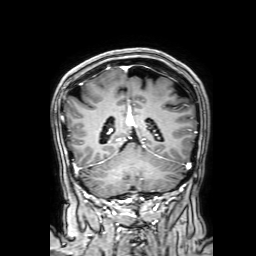
Q: What kind of scan is this?
A: 3 Tesla brain MRI.
Q: Series?
A: 3D T1-weighted with SENSE.
Study: ring-enhancing brain masses.